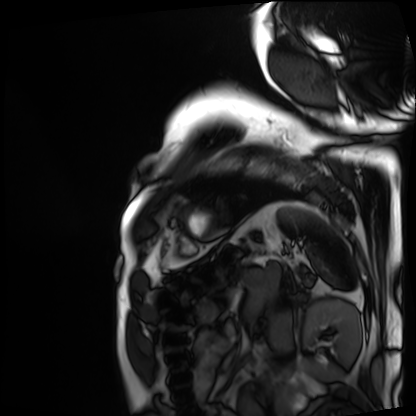
Cardiac MRI. Subject group: patient.